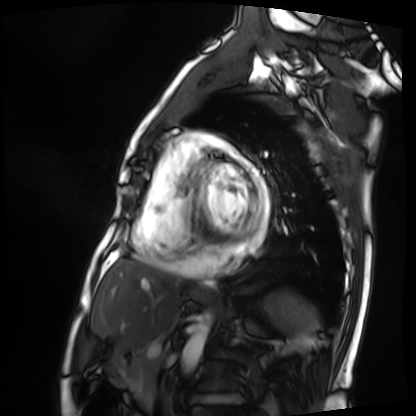
• modality · cardiac MRI
• subject group · patient